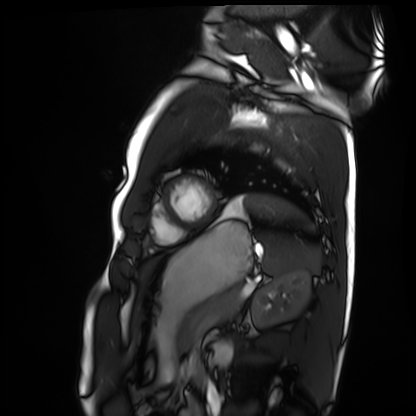
Cardiac MRI. Subject group: healthy volunteer.